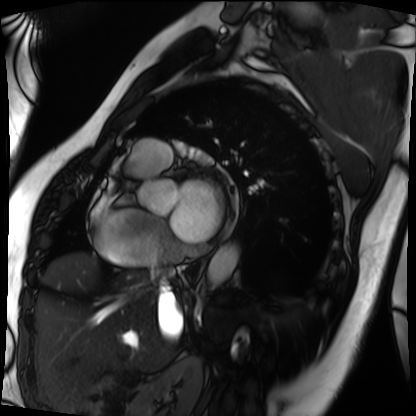
Cardiac MRI.
Subject group: patient.